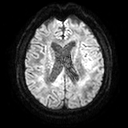
Case:
* modality — 3 Tesla brain MRI
* series — diffusion tensor imaging (medium iso)
* study — ring-enhancing brain masses